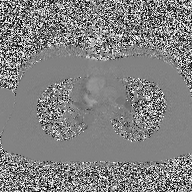
* modality: 2D phase-contrast cine MRI of the ascending aorta